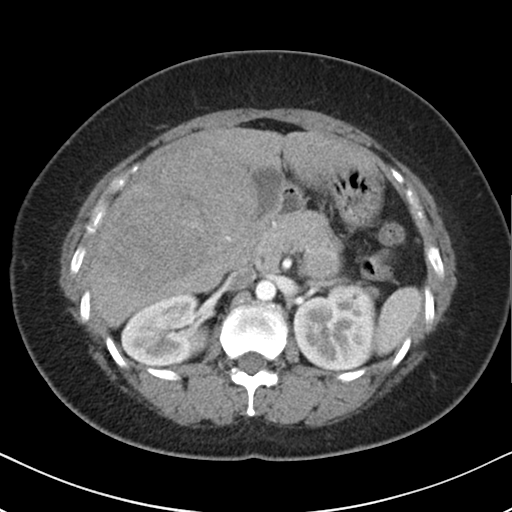
modality=multiphase abdominal CT, liver, arterial phase
patient=female, age 36
history=viral hepatitis